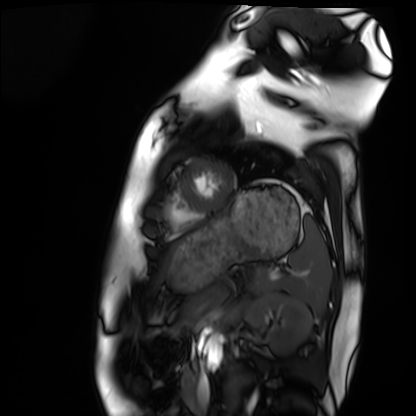
Summary: Cardiac MRI. Subject group: healthy volunteer.